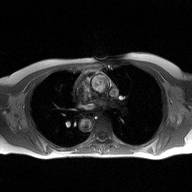
2D phase-contrast cine MRI of the ascending aorta, high-resolution GRAPPA acquisition.